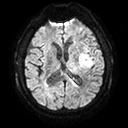
<scan>
<modality>
  <type>brain MRI</type>
  <field_strength>3T</field_strength>
</modality>
<series>diffusion tensor imaging (medium iso)</series>
<study_topic>ring-enhancing brain masses</study_topic>
</scan>